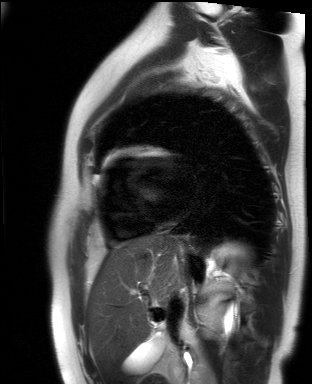
Summary: Cardiac MR image of the myocardium. Subject cohort: healthy volunteer.